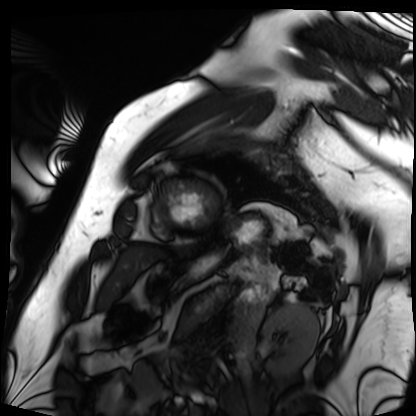
modality: cardiac MRI
cohort: patient